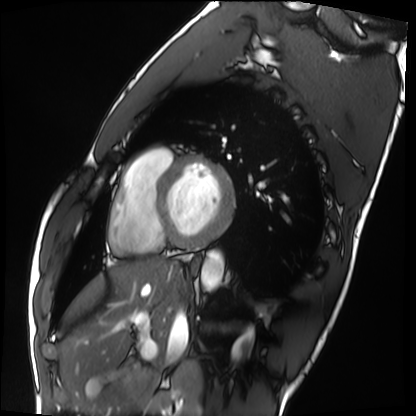
Cardiac MRI.
Subject group: healthy volunteer.